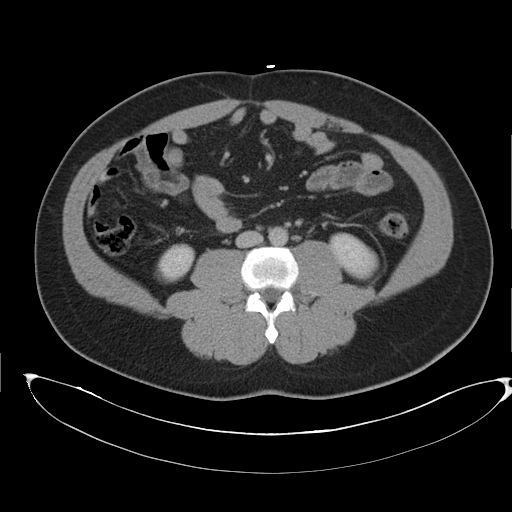
Multiphase abdominal CT, liver, delayed phase. Patient: male, age 43. History: cirrhosis, viral hepatitis.